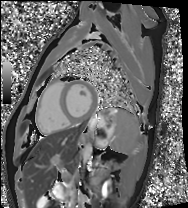
{
  "modality": "cardiac MRI",
  "cohort": "healthy volunteer"
}